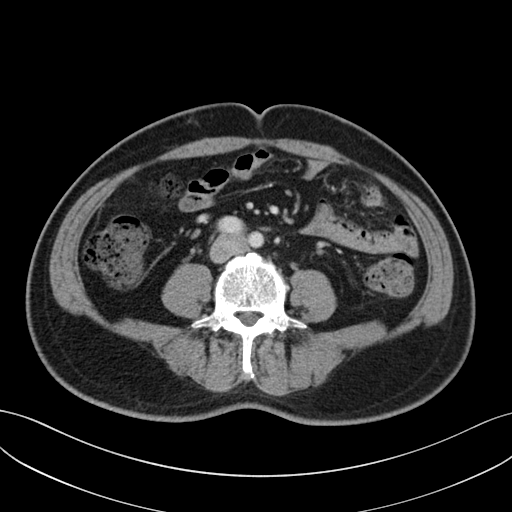
{"modality": {"type": "multiphase abdominal CT", "region": "liver", "phase": "portal venous"}}